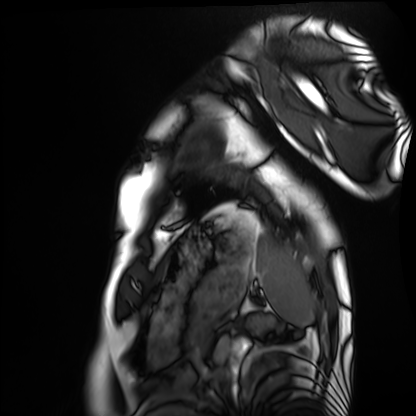
Summary: Cardiac MRI. Subject group: healthy volunteer.